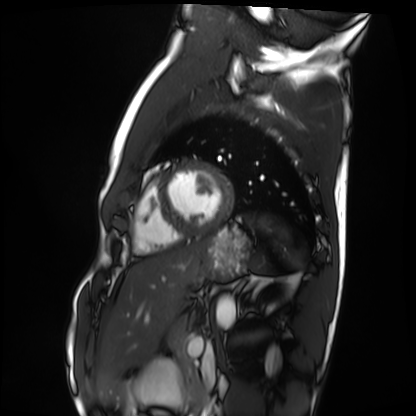
Q: What kind of scan is this?
A: Cardiac MRI.
Subject group: healthy volunteer.